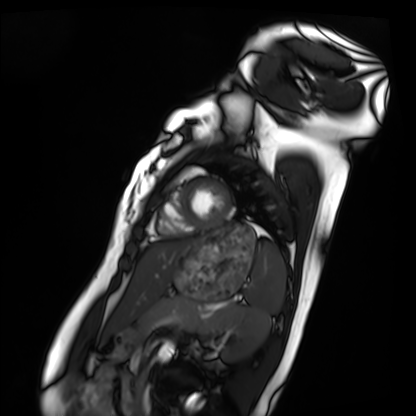
Cardiac MRI. Subject group: healthy volunteer.